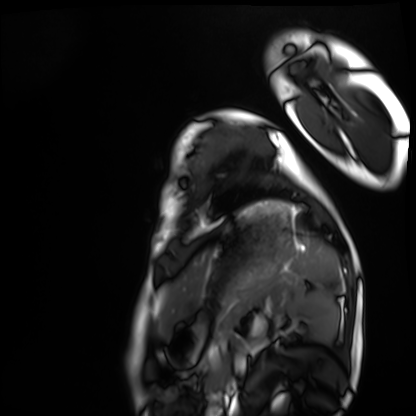
Cardiac MRI.
Subject group: healthy volunteer.